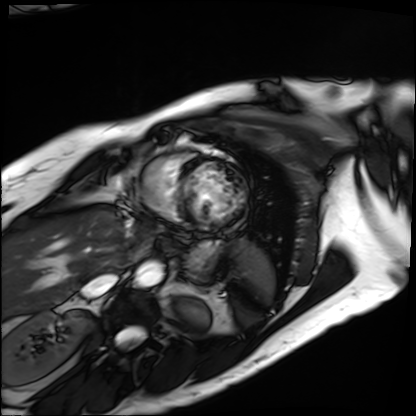
{"modality": "cardiac MRI", "cohort": "patient"}